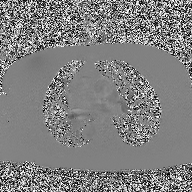
2D phase-contrast cine MRI of the ascending aorta, high-resolution GRAPPA acquisition.